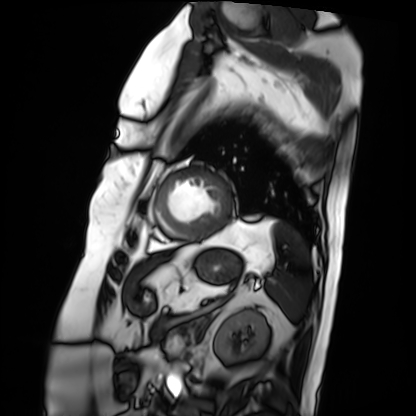
modality: cardiac MRI
cohort: patient